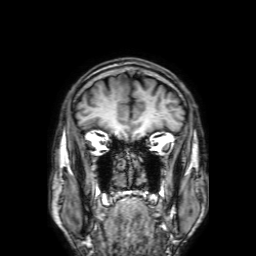
{
  "modality": {
    "type": "brain MRI",
    "field_strength": "3T"
  },
  "series": "3D T1-weighted with SENSE",
  "study_topic": "ring-enhancing brain masses"
}